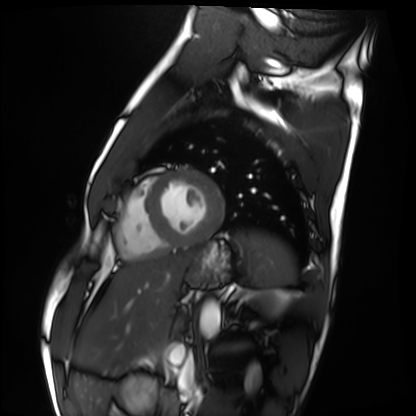
Cardiac MRI. Subject group: healthy volunteer.